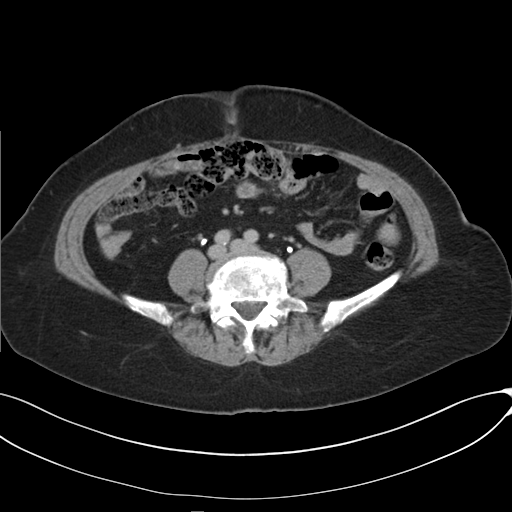
Multiphase abdominal CT, liver, delayed phase. Patient: female, age 73.